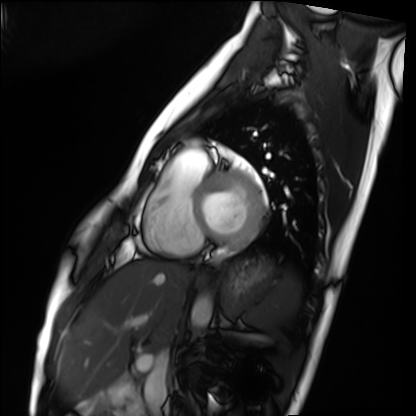
modality: cardiac MRI | subject group: healthy volunteer.